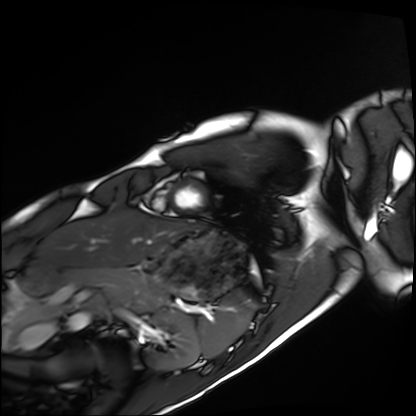
  modality: cardiac MRI
  cohort: healthy volunteer